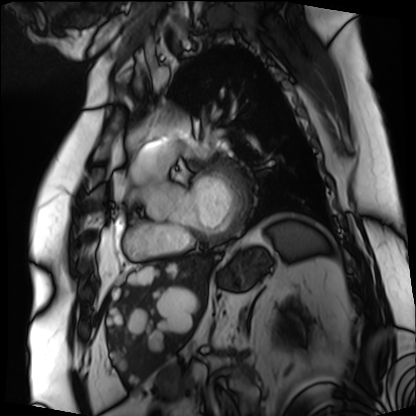
- modality: cardiac MRI
- subject group: patient